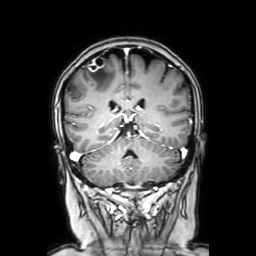
Case summary: 3 Tesla brain MRI. Series: coronal with contrast. Study: ring-enhancing brain masses.